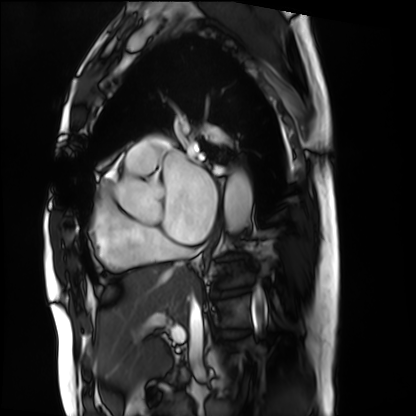
modality: cardiac MRI
subject group: patient